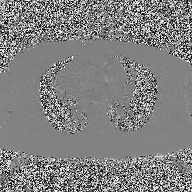
modality: 2D phase-contrast cine MRI of the ascending aorta.